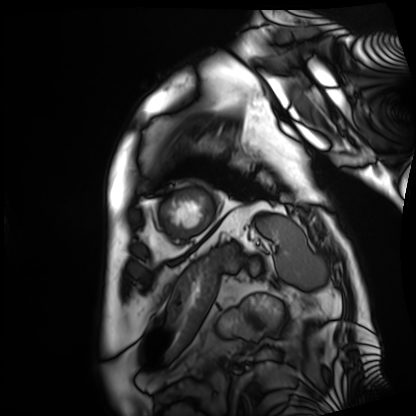
modality: cardiac MRI; subject group: patient.